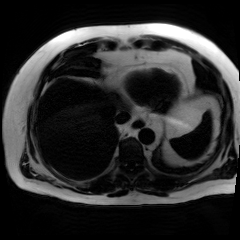
modality: chemical-shift-encoded cardiac MRI.